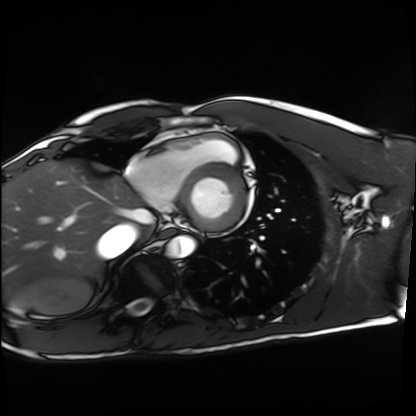
– modality — cardiac MRI
– subject group — healthy volunteer